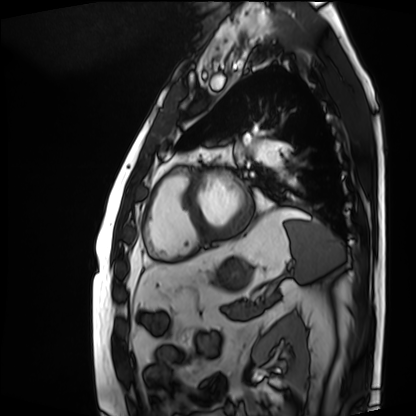
Clinical context:
Cardiac MRI. Subject group: patient.